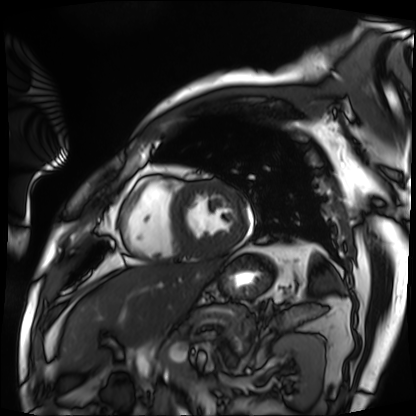
Summary: Cardiac MRI. Subject group: patient.